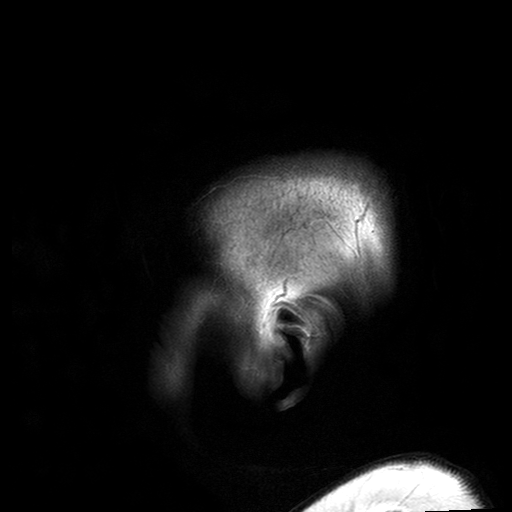
3 Tesla brain MRI.
Series: T2-weighted turbo spin echo with SENSE.
Study: ring-enhancing brain masses.